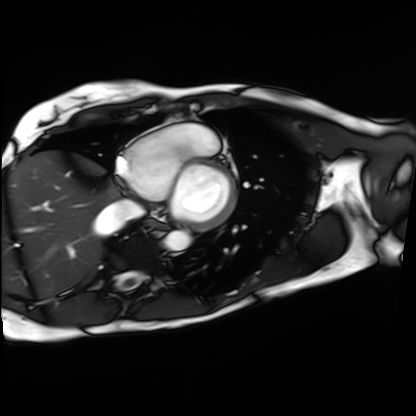
Q: What kind of scan is this?
A: Cardiac MRI.
Subject group: patient.